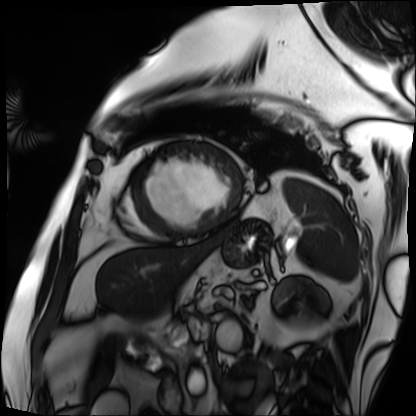
– modality — cardiac MRI
– subject group — patient